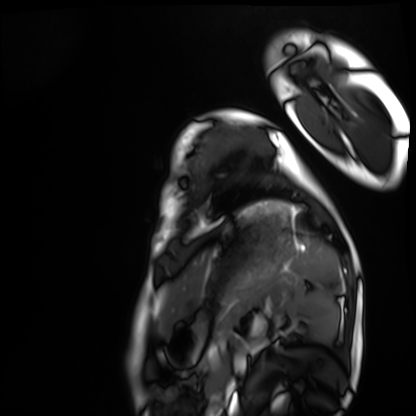
Cardiac MRI. Subject group: healthy volunteer.